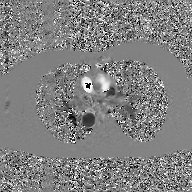
2D phase-contrast cine MRI of the ascending aorta, GAN super-resolution reconstruction.